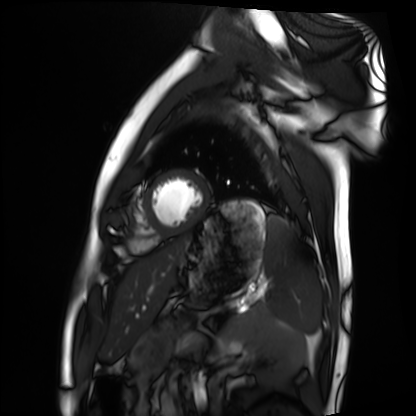
<study>
<modality>cardiac MRI</modality>
<cohort>healthy volunteer</cohort>
</study>